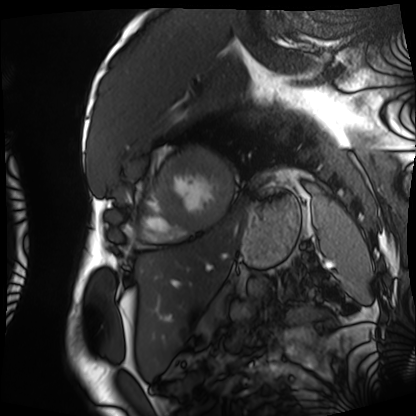
Case summary:
Cardiac MRI. Subject group: patient.